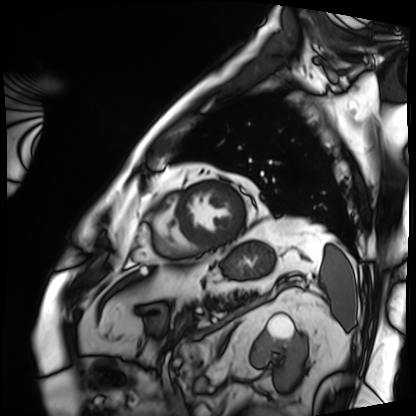
* modality: cardiac MRI
* subject group: patient